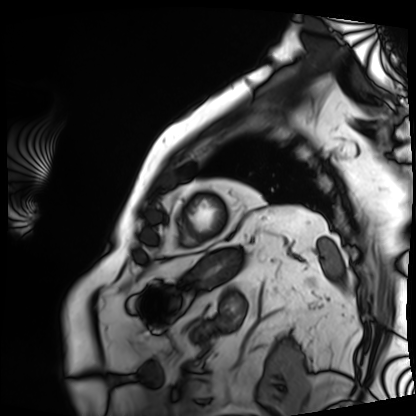
{
  "modality": "cardiac MRI",
  "cohort": "patient"
}